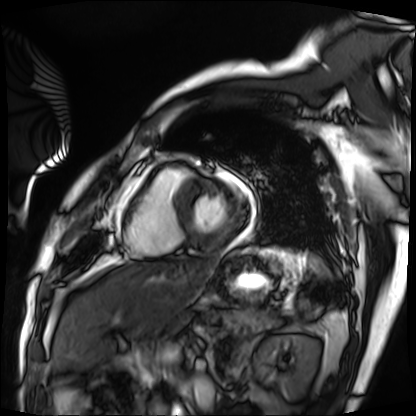
Q: What kind of scan is this?
A: Cardiac MRI.
Subject group: patient.